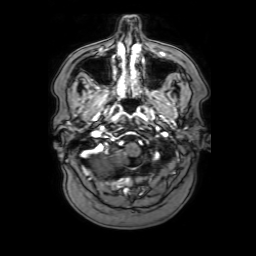
Clinical context:
3 Tesla brain MRI. Series: 3D T1-weighted with SENSE. Study: ring-enhancing brain masses.